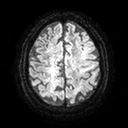
• modality — 3 Tesla brain MRI
• series — diffusion tensor imaging (medium iso)
• study — ring-enhancing brain masses